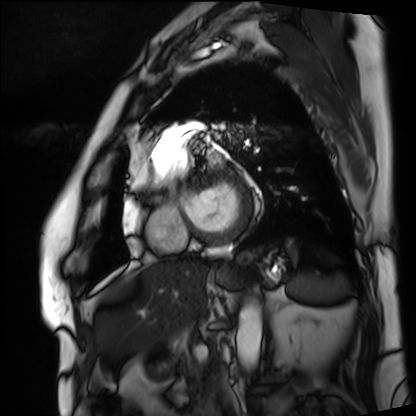
Q: What kind of scan is this?
A: Cardiac MRI.
Subject group: patient.